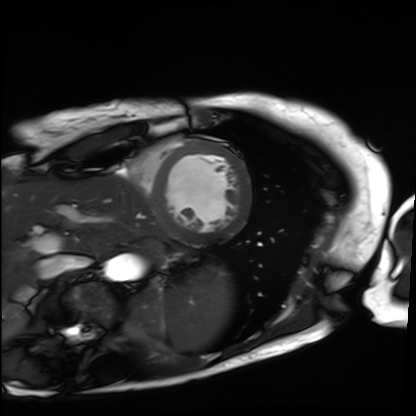
Clinical context: Cardiac MRI. Subject group: patient.